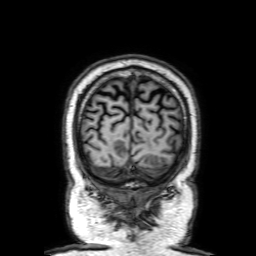
modality = 3 Tesla brain MRI; series = 3D T1-weighted with SENSE; study = ring-enhancing brain masses.